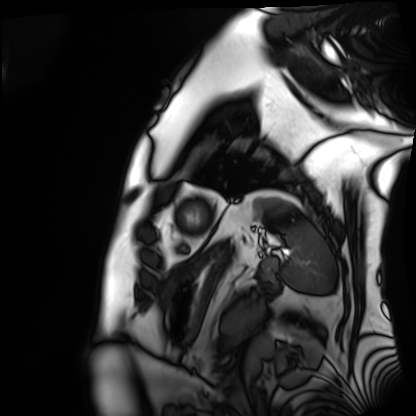
Cardiac MRI. Subject group: patient.